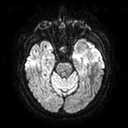
modality=3 Tesla brain MRI | series=diffusion tensor imaging (medium iso) | study=ring-enhancing brain masses.